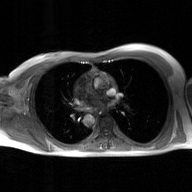
2D phase-contrast cine MRI of the ascending aorta, GAN super-resolution reconstruction.